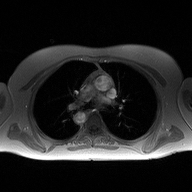
2D phase-contrast cine MRI of the ascending aorta, high-resolution GRAPPA acquisition.